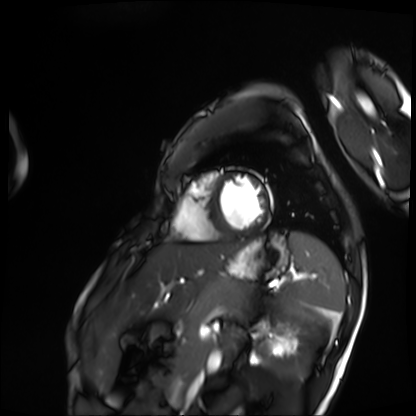
- modality: cardiac MRI
- subject group: patient